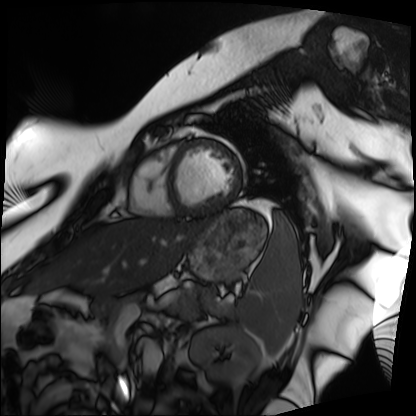
Cardiac MRI.
Subject group: patient.